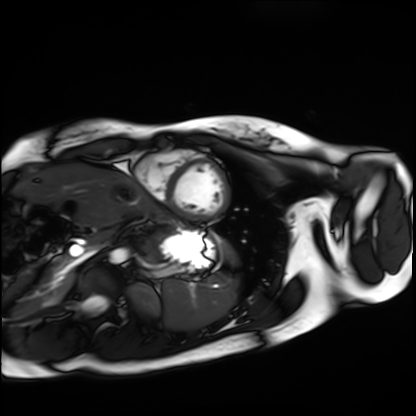
modality — cardiac MRI; subject group — healthy volunteer.